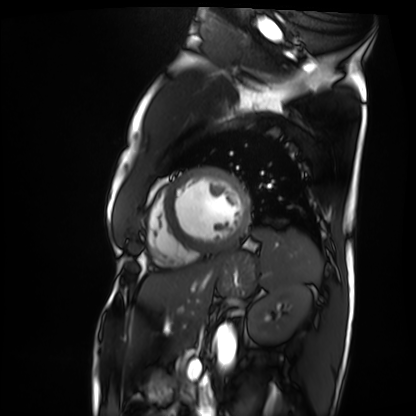
Summary:
Cardiac MRI. Subject group: patient.